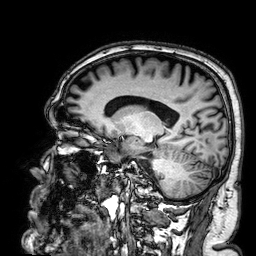
Summary: 3 Tesla brain MRI. Series: 3D T1-weighted. Study: ring-enhancing brain masses.